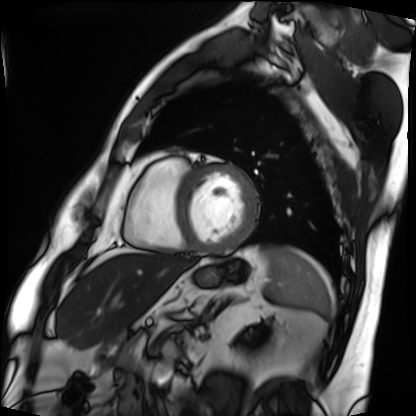
* modality — cardiac MRI
* subject group — patient